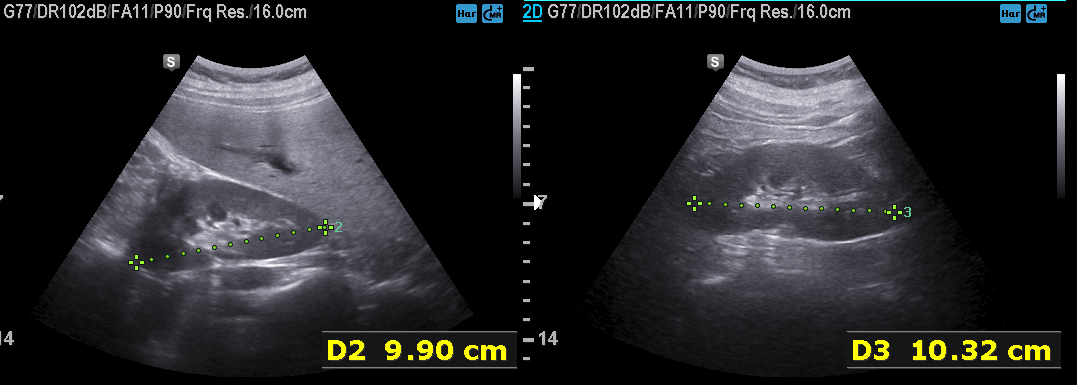
- modality: genitourinary ultrasound